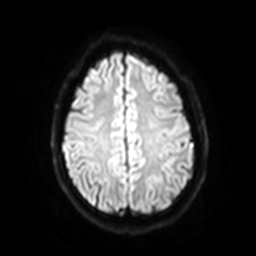
3 Tesla brain MRI. Study: ring-enhancing brain masses.